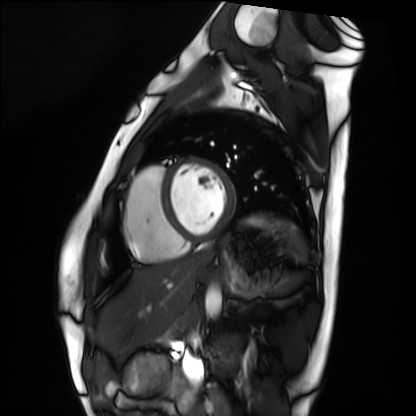
modality: cardiac MRI, subject group: healthy volunteer.